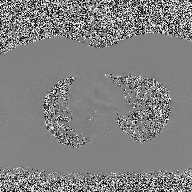
modality = 2D phase-contrast cine MRI of the ascending aorta.